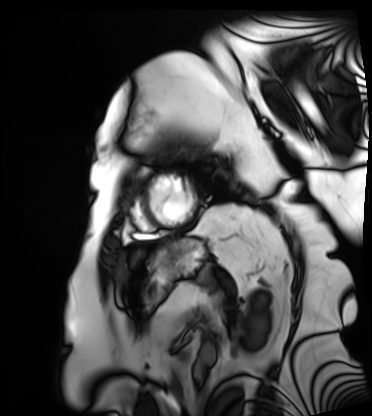
  modality: cardiac MRI
  cohort: patient